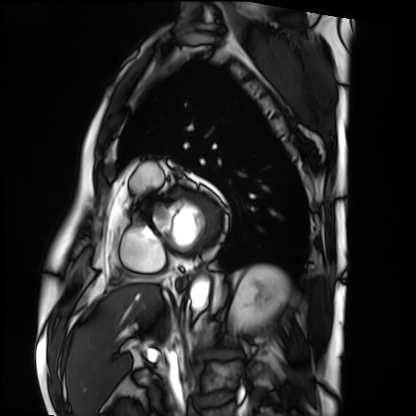
Q: What kind of scan is this?
A: Cardiac MRI.
Subject group: patient.